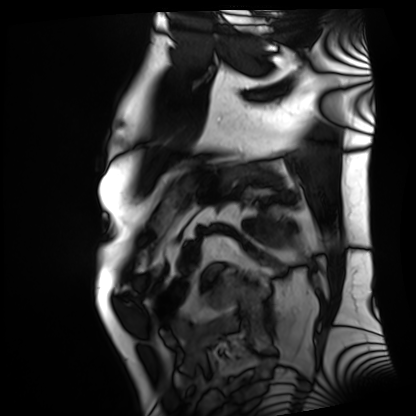
Cardiac MRI. Subject group: patient.